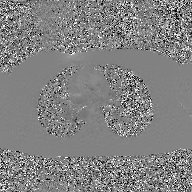
Case:
- modality · 2D phase-contrast cine MRI of the ascending aorta, GAN super-resolution reconstruction